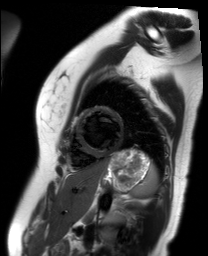
<case>
  <modality>cardiac MR image of the myocardium</modality>
  <cohort>healthy volunteer</cohort>
</case>